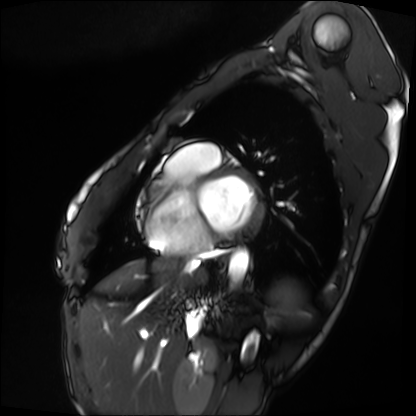
Summary: Cardiac MRI. Subject group: patient.